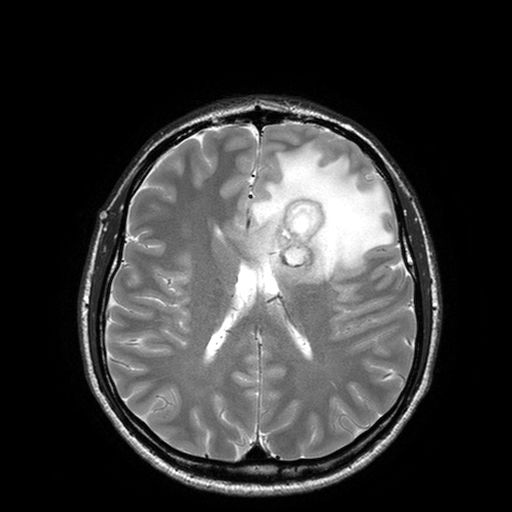
* modality · 3 Tesla brain MRI
* series · T2-weighted turbo spin echo with SENSE
* study · ring-enhancing brain masses